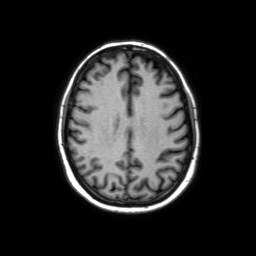
3 Tesla brain MRI.
Series: axial without contrast.
Study: ring-enhancing brain masses.